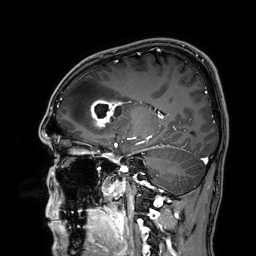
{
  "modality": {
    "type": "brain MRI",
    "field_strength": "3T"
  },
  "series": "3D T1-weighted",
  "study_topic": "ring-enhancing brain masses"
}